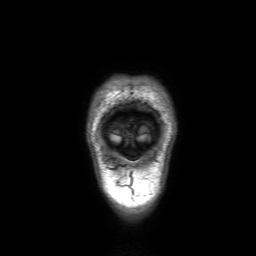
Q: What kind of scan is this?
A: 3 Tesla brain MRI.
Q: Series?
A: 3D T1-weighted with SENSE.
Study: ring-enhancing brain masses.